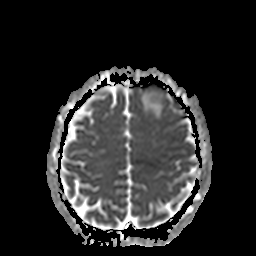
modality = 3 Tesla brain MRI | study = ring-enhancing brain masses.